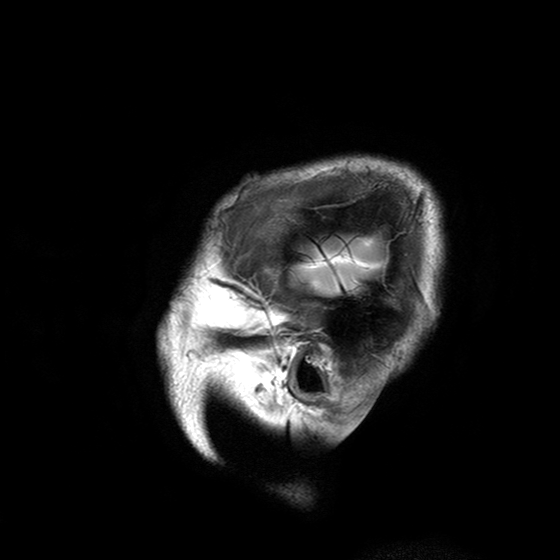
Case:
– modality: 3 Tesla brain MRI
– series: T2-weighted turbo spin echo with SENSE
– study: ring-enhancing brain masses